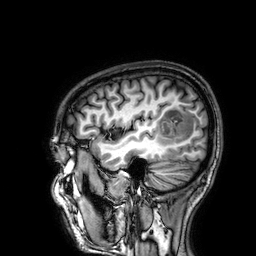
modality — 3 Tesla brain MRI
series — 3D T1-weighted
study — ring-enhancing brain masses